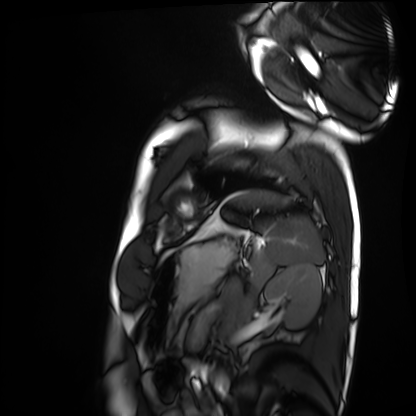
• modality: cardiac MRI
• subject group: healthy volunteer